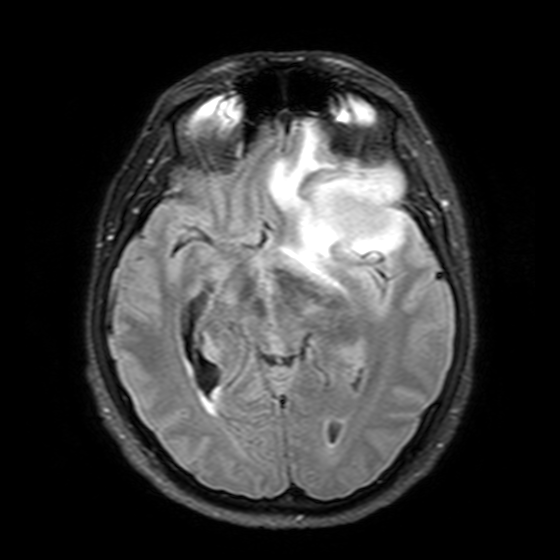
Clinical context: 3 Tesla brain MRI. Series: T2-weighted FLAIR. Study: ring-enhancing brain masses.